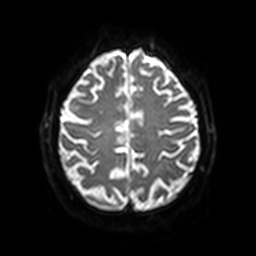
- modality · 3 Tesla brain MRI
- series · diffusion-weighted imaging with SENSE (WIP)
- study · ring-enhancing brain masses